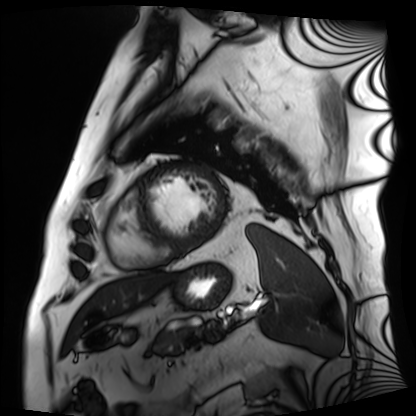
Clinical context:
Cardiac MRI. Subject group: patient.